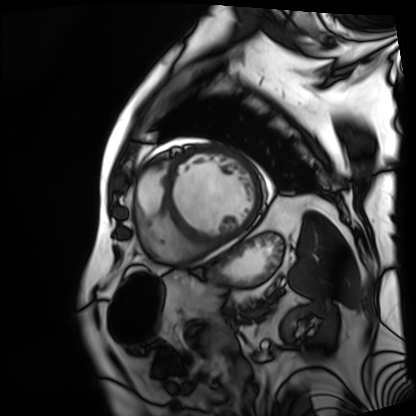
Case:
– modality — cardiac MRI
– subject group — patient